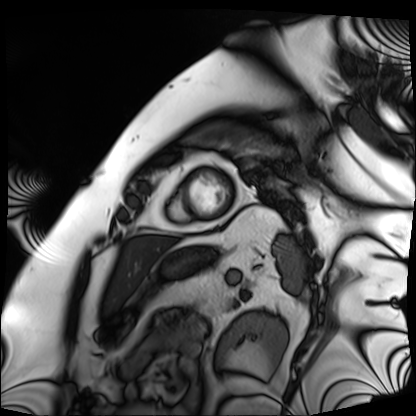
Clinical context: Cardiac MRI. Subject group: patient.